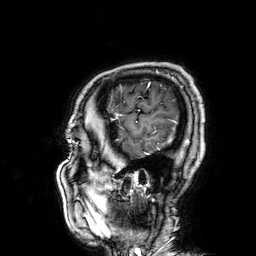
| field | value |
|---|---|
| modality | 3 Tesla brain MRI |
| series | 3D T1-weighted |
| study | ring-enhancing brain masses |